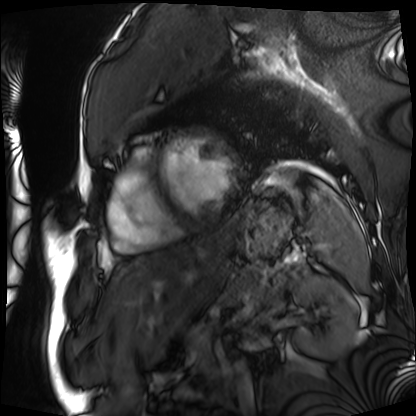
{"modality": "cardiac MRI", "cohort": "patient"}